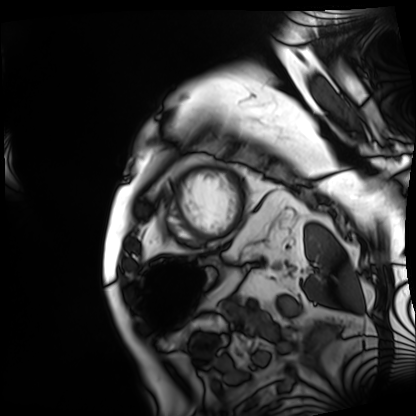
modality: cardiac MRI
subject group: patient